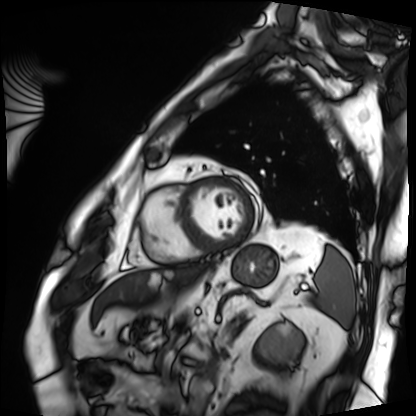
Cardiac MRI. Subject group: patient.